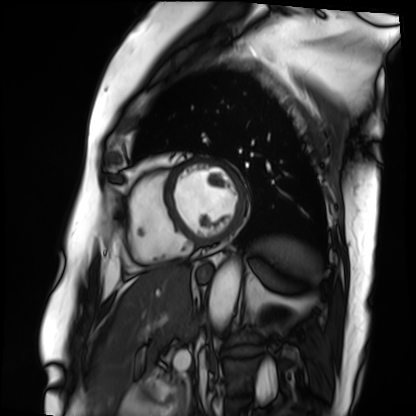
Summary:
Cardiac MRI. Subject group: patient.